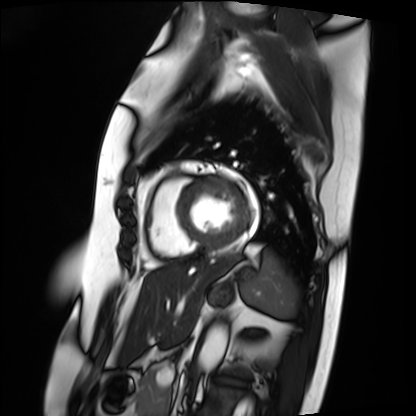
Cardiac MRI. Subject group: patient.